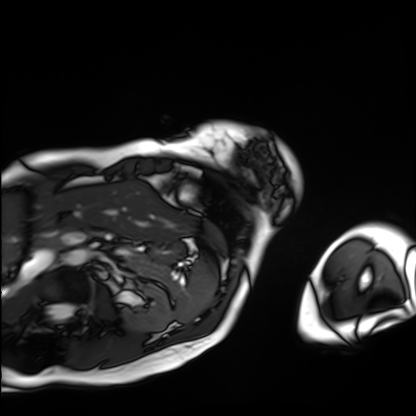
Q: What kind of scan is this?
A: Cardiac MRI.
Subject group: patient.